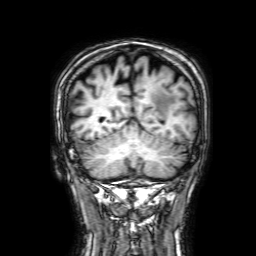
| field | value |
|---|---|
| modality | 3 Tesla brain MRI |
| series | 3D T1-weighted with SENSE |
| study | ring-enhancing brain masses |